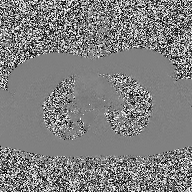
| field | value |
|---|---|
| modality | 2D phase-contrast cine MRI of the ascending aorta |